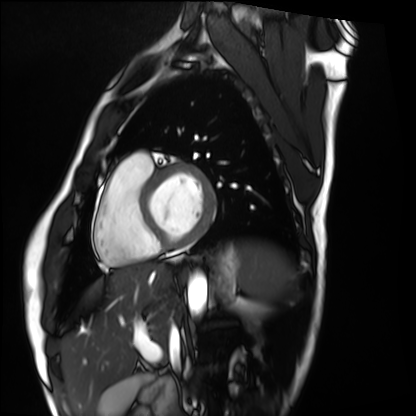
Summary:
Cardiac MRI. Subject group: healthy volunteer.